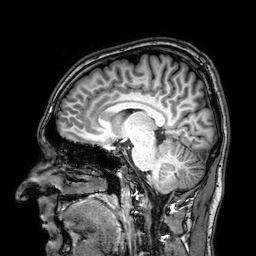
3 Tesla brain MRI. Series: 3D T1-weighted. Study: ring-enhancing brain masses.